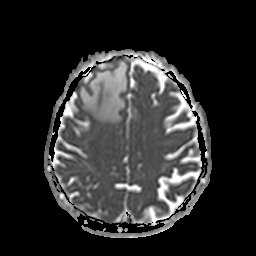
Case summary:
3 Tesla brain MRI. Series: apparent diffusion coefficient (ADC) map. Study: ring-enhancing brain masses.